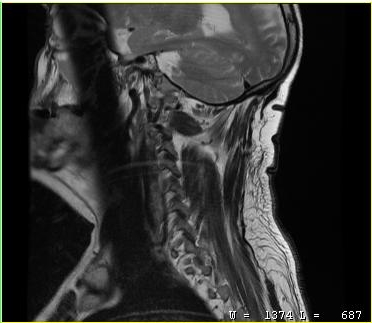
Summary: MRI of the cervical spine. Study: cervical spondylosis.